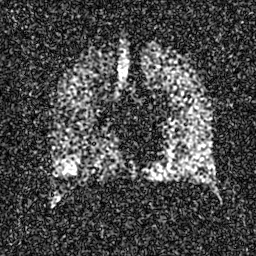
modality: hyperpolarized 129Xe ventilation MRI of the lungs; SNR level: 5 of 8 (the deposit holds this scan as its native image and as seven SNR-degraded versions).